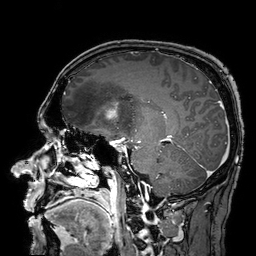
{"modality": {"type": "brain MRI", "field_strength": "3T"}, "series": "3D T1-weighted turbo field echo with SENSE", "study_topic": "ring-enhancing brain masses"}